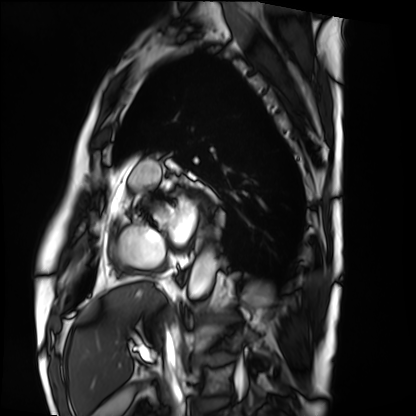
modality — cardiac MRI | subject group — patient.